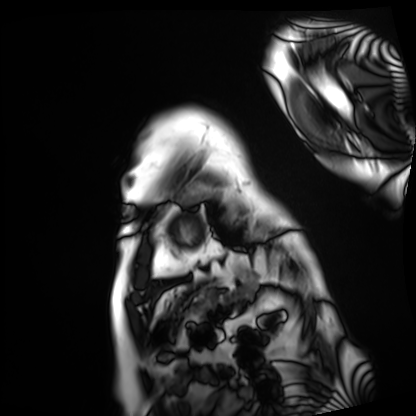
modality — cardiac MRI | subject group — patient.